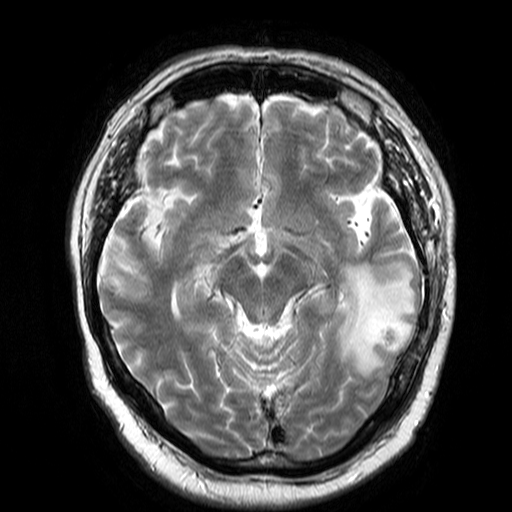
modality = 3 Tesla brain MRI
series = T2-weighted turbo spin echo
study = ring-enhancing brain masses